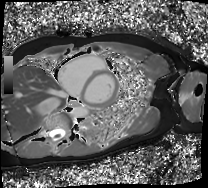
Cardiac MRI. Subject group: patient.